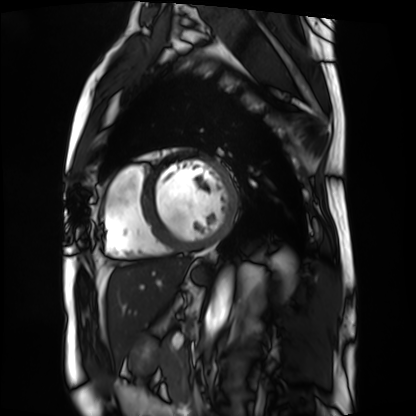
Cardiac MRI.
Subject group: patient.